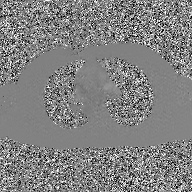
2D phase-contrast cine MRI of the ascending aorta, GAN super-resolution reconstruction.